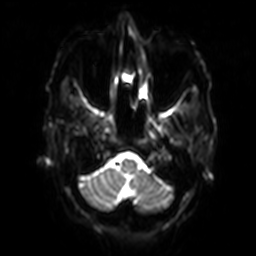
Case:
– modality: 3 Tesla brain MRI
– series: diffusion-weighted imaging with SENSE (WIP)
– study: ring-enhancing brain masses